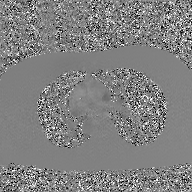
2D phase-contrast cine MRI of the ascending aorta, GAN super-resolution reconstruction.